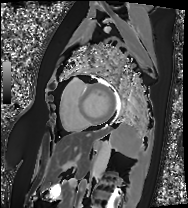
Cardiac MRI. Subject group: patient.